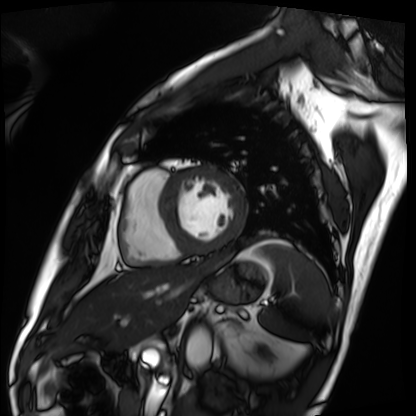
modality=cardiac MRI; subject group=patient.